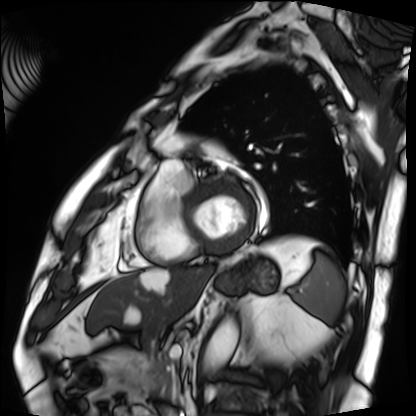
modality — cardiac MRI | subject group — patient.